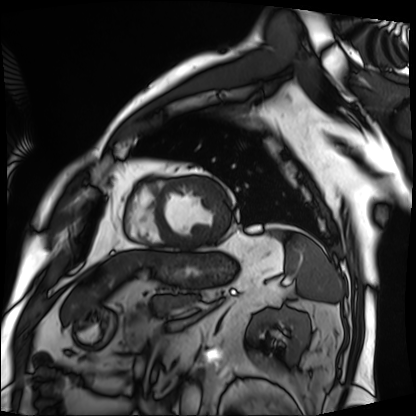
{
  "modality": "cardiac MRI",
  "cohort": "patient"
}